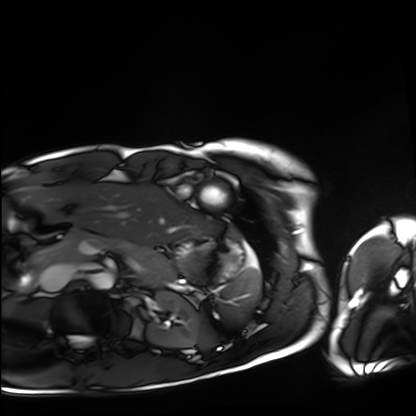
Cardiac MRI. Subject group: healthy volunteer.